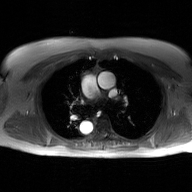
Case summary:
2D phase-contrast cine MRI of the ascending aorta, GAN super-resolution reconstruction.